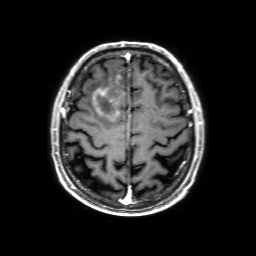
3 Tesla brain MRI. Study: ring-enhancing brain masses.